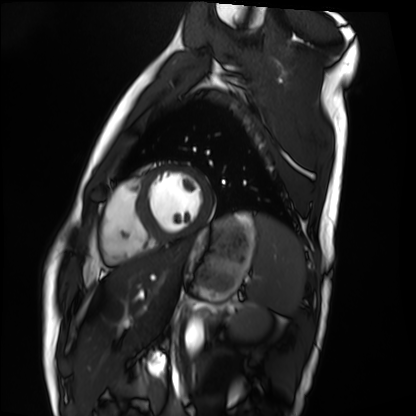
Summary:
Cardiac MRI. Subject group: healthy volunteer.